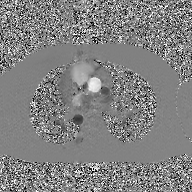
2D phase-contrast cine MRI of the ascending aorta, GAN super-resolution reconstruction.